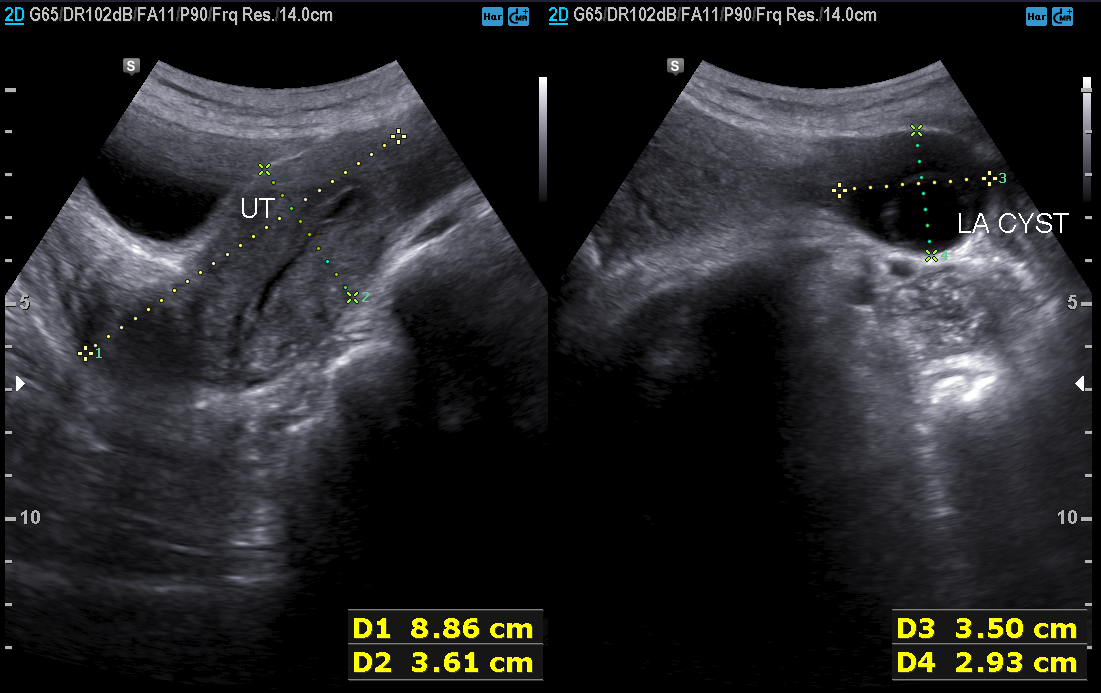
Summary: Genitourinary ultrasound.